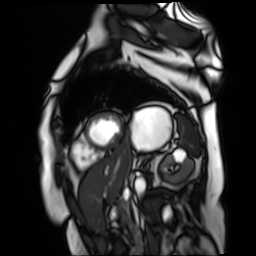
modality: cardiac MR image of the myocardium
subject cohort: cardiac patient